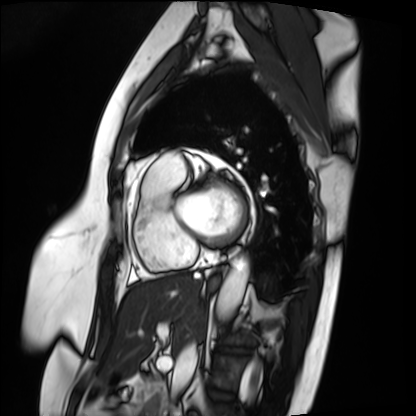
Cardiac MRI.
Subject group: patient.